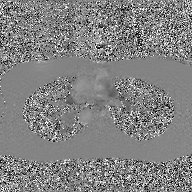
Summary: 2D phase-contrast cine MRI of the ascending aorta, GAN super-resolution reconstruction.